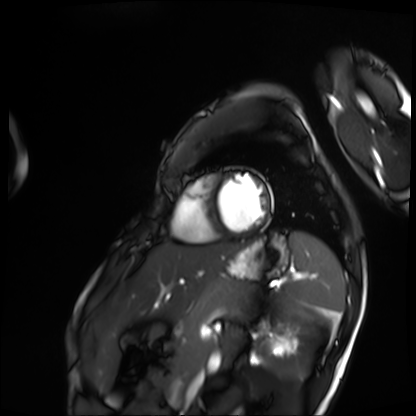
Cardiac MRI.
Subject group: patient.